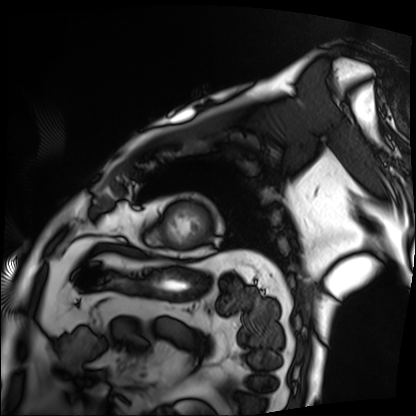
modality = cardiac MRI, subject group = patient.